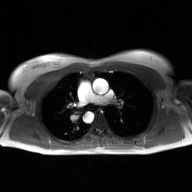
Q: What kind of scan is this?
A: 2D phase-contrast cine MRI of the ascending aorta, GAN super-resolution reconstruction.